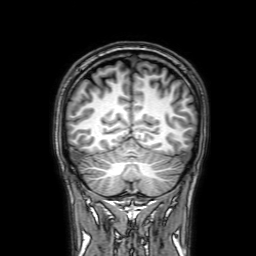
3 Tesla brain MRI. Series: 3D T1-weighted with SENSE. Study: ring-enhancing brain masses.